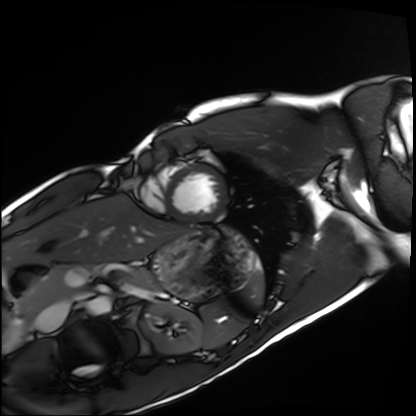
{"modality": "cardiac MRI", "cohort": "healthy volunteer"}